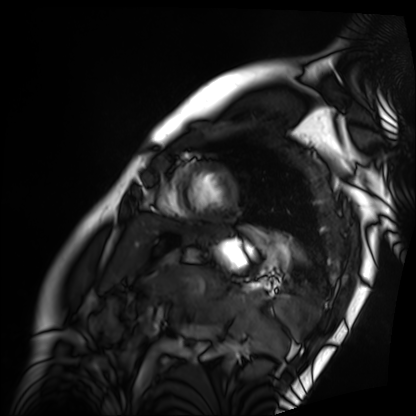
modality: cardiac MRI; subject group: patient.